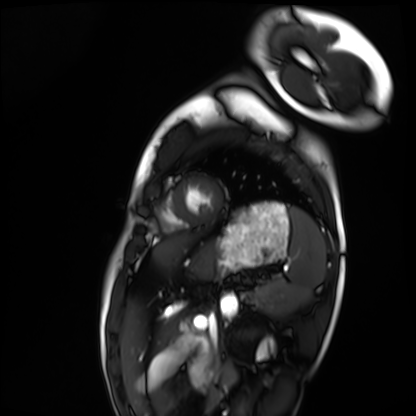
Cardiac MRI. Subject group: healthy volunteer.